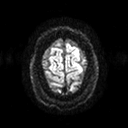
3 Tesla brain MRI.
Series: diffusion tensor imaging (medium iso).
Study: ring-enhancing brain masses.